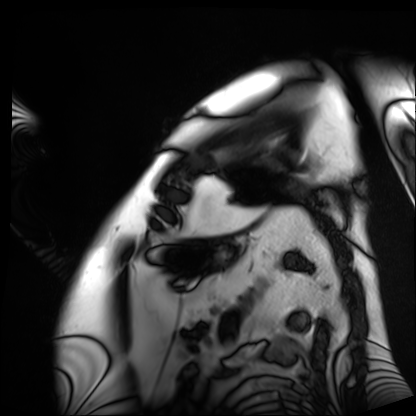
Cardiac MRI. Subject group: patient.